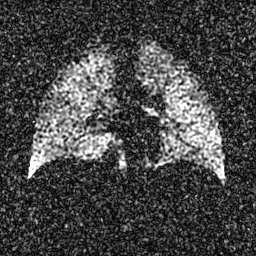
modality = hyperpolarized 129Xe ventilation MRI of the lungs | SNR level = 4 of 8 (the deposit holds this scan as its native image and as seven SNR-degraded versions).